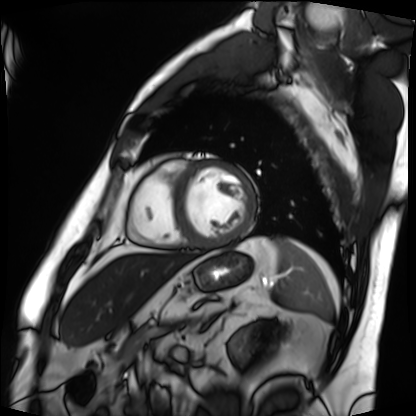
Q: What kind of scan is this?
A: Cardiac MRI.
Subject group: patient.